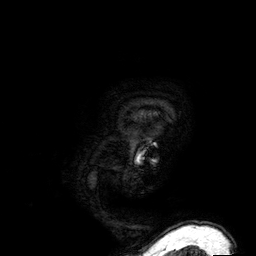
modality=3 Tesla brain MRI; series=3D T1-weighted; study=ring-enhancing brain masses.